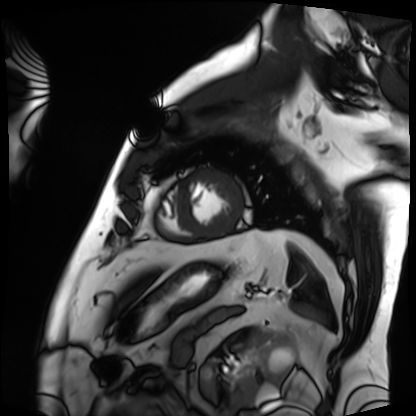
modality: cardiac MRI
cohort: patient